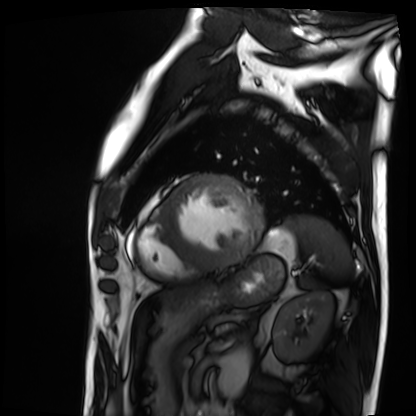
Cardiac MRI. Subject group: patient.